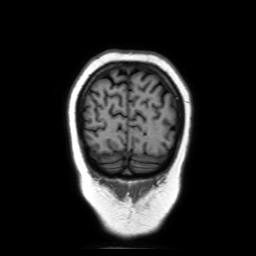
Summary: 3 Tesla brain MRI. Series: coronal without contrast. Study: ring-enhancing brain masses.